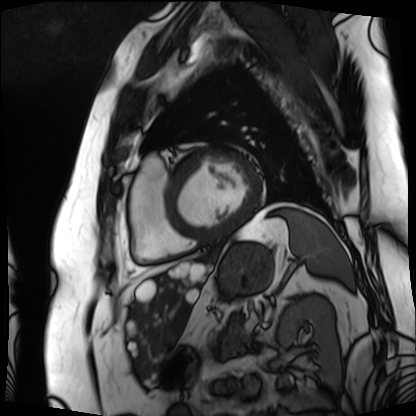
Clinical context:
Cardiac MRI. Subject group: patient.